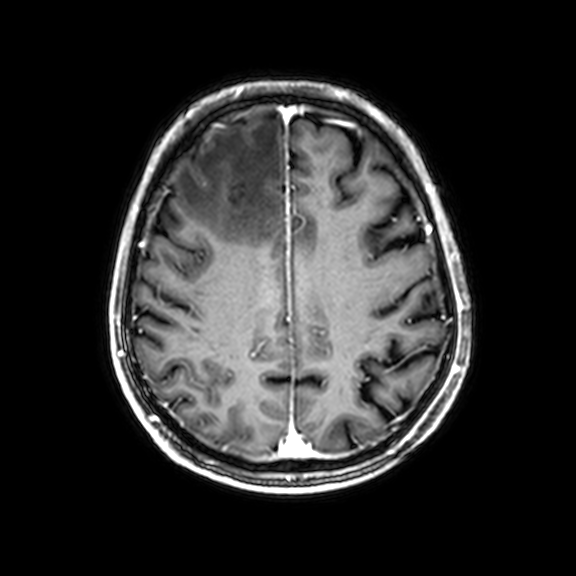
- modality — 3 Tesla brain MRI
- series — 3D T1-weighted with CLEAR
- study — ring-enhancing brain masses